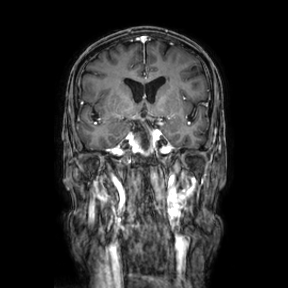
Summary: 3 Tesla brain MRI. Series: coronal. Study: ring-enhancing brain masses.